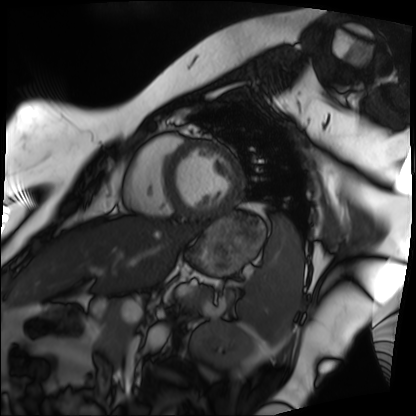
modality: cardiac MRI, subject group: patient.